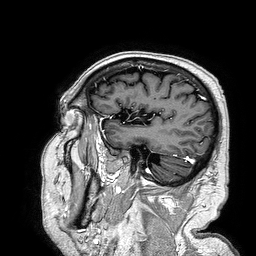
modality = 3 Tesla brain MRI; series = 3D T1-weighted turbo field echo; study = ring-enhancing brain masses.